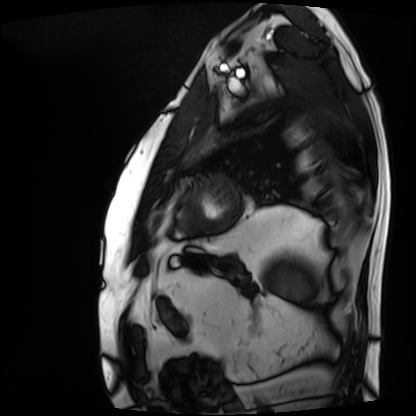
Cardiac MRI. Subject group: patient.